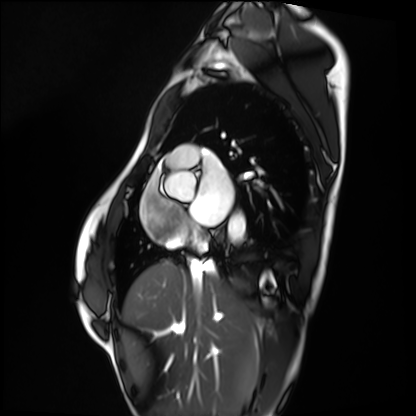
<record>
  <modality>cardiac MRI</modality>
  <cohort>healthy volunteer</cohort>
</record>